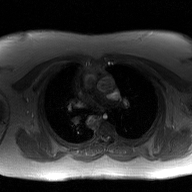
{"modality": {"type": "2D phase-contrast cine MRI", "region": "ascending aorta", "reconstruction": "GAN super-resolution reconstruction"}}